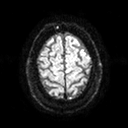
* modality: 3 Tesla brain MRI
* series: diffusion tensor imaging (medium iso)
* study: ring-enhancing brain masses